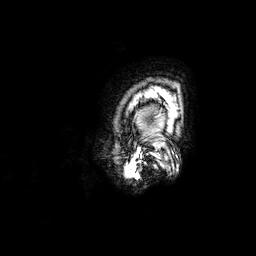
Q: What kind of scan is this?
A: 3 Tesla brain MRI.
Q: Series?
A: 3D T1-weighted.
Study: ring-enhancing brain masses.